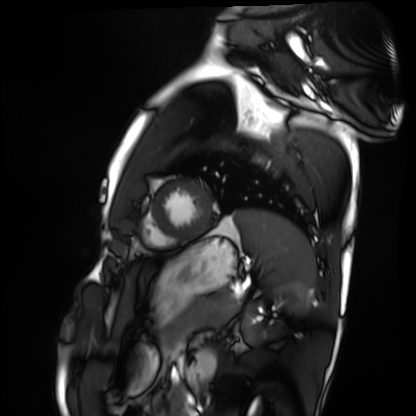
Summary:
Cardiac MRI. Subject group: healthy volunteer.